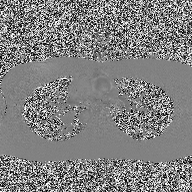
2D phase-contrast cine MRI of the ascending aorta, high-resolution GRAPPA acquisition.